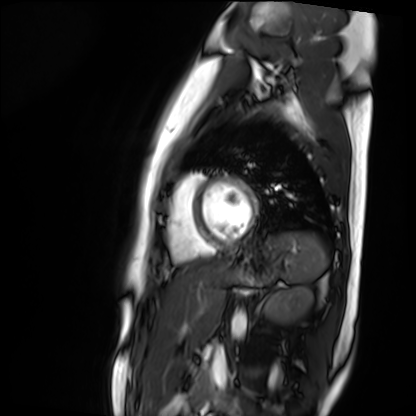
modality=cardiac MR image of the myocardium | subject cohort=healthy volunteer.